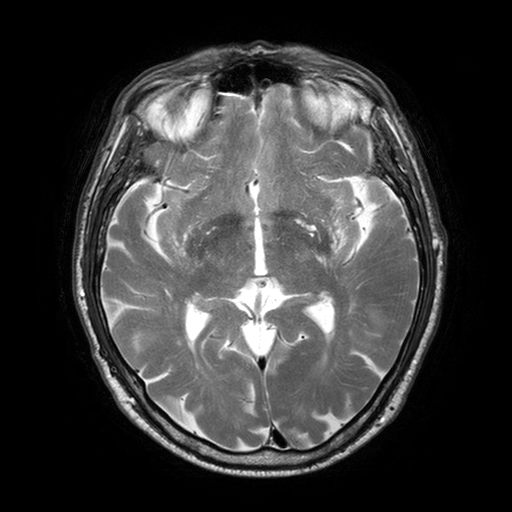
modality: 3 Tesla brain MRI | series: T2-weighted turbo spin echo with SENSE | study: ring-enhancing brain masses.